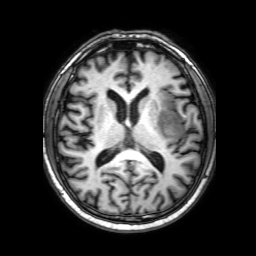
– modality: 3 Tesla brain MRI
– series: 3D T1-weighted with SENSE
– study: ring-enhancing brain masses